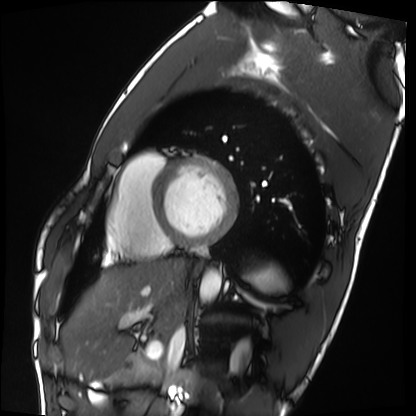
Cardiac MRI. Subject group: healthy volunteer.